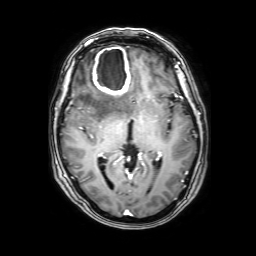
Clinical context:
3 Tesla brain MRI. Series: 3D T1-weighted with SENSE. Study: ring-enhancing brain masses.